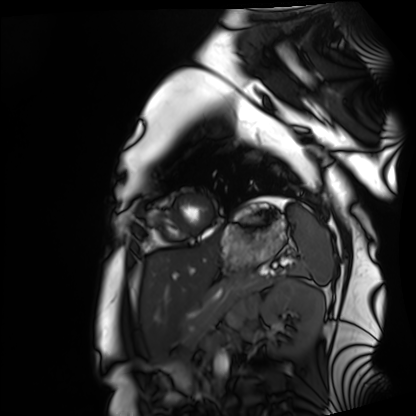
Summary: Cardiac MRI. Subject group: healthy volunteer.